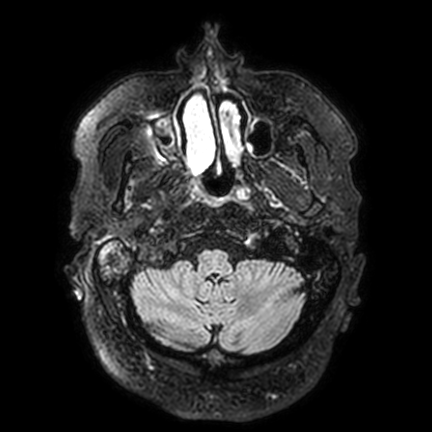
Summary:
3 Tesla brain MRI. Series: FLAIR VISTA with SENSE. Study: ring-enhancing brain masses.